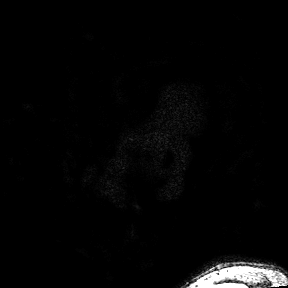
modality: 3 Tesla brain MRI; series: 3D T1-weighted turbo field echo with SENSE; study: ring-enhancing brain masses.